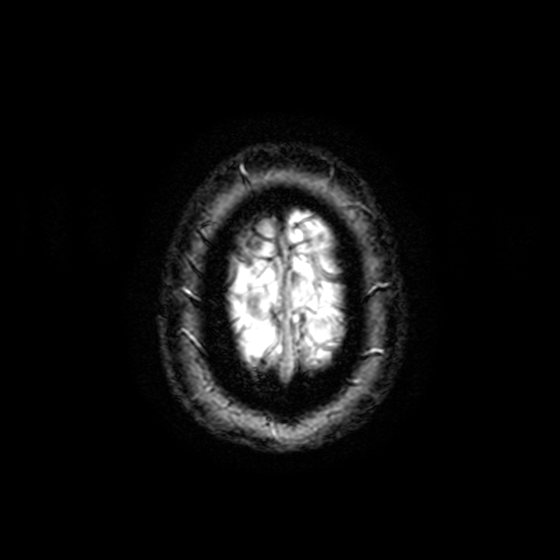
Case:
• modality: 3 Tesla brain MRI
• series: T2-weighted fast field echo with SENSE
• study: ring-enhancing brain masses